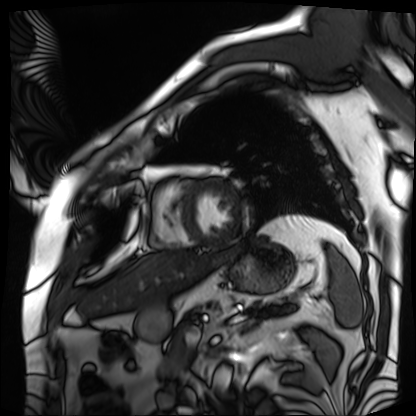
Summary: Cardiac MRI. Subject group: patient.